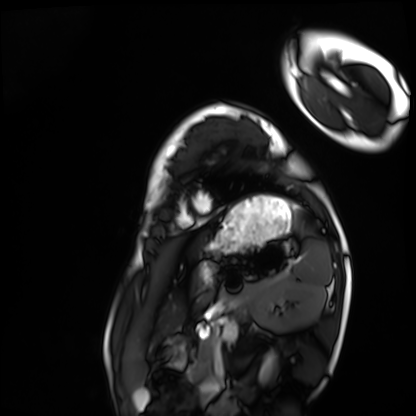
Cardiac MRI. Subject group: healthy volunteer.